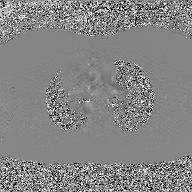
2D phase-contrast cine MRI of the ascending aorta, GAN super-resolution reconstruction.